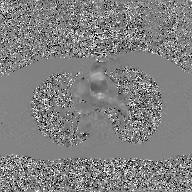
2D phase-contrast cine MRI of the ascending aorta, GAN super-resolution reconstruction.